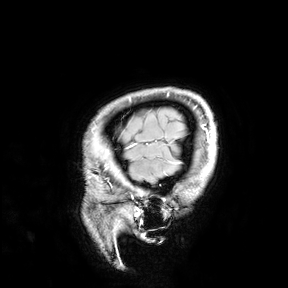
Summary:
3 Tesla brain MRI. Study: ring-enhancing brain masses.